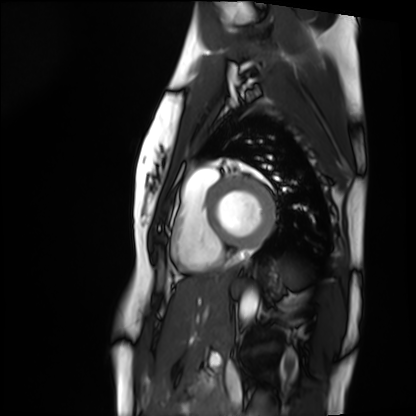
Cardiac MRI.
Subject group: healthy volunteer.